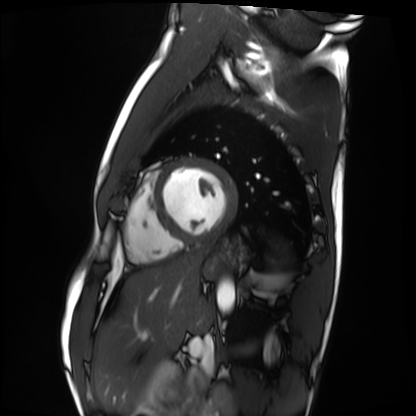
{"modality": "cardiac MRI", "cohort": "healthy volunteer"}